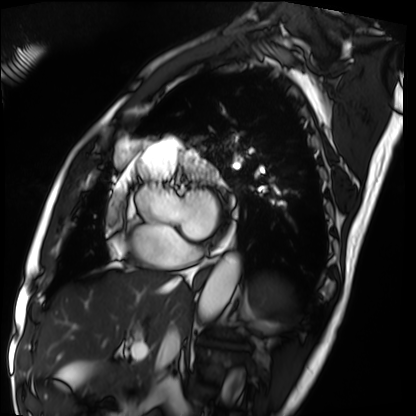
modality=cardiac MRI; subject group=patient.